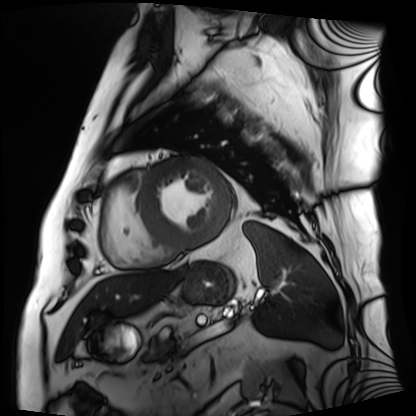
<scan>
  <modality>cardiac MRI</modality>
  <cohort>patient</cohort>
</scan>